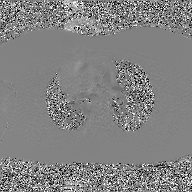
2D phase-contrast cine MRI of the ascending aorta, GAN super-resolution reconstruction.